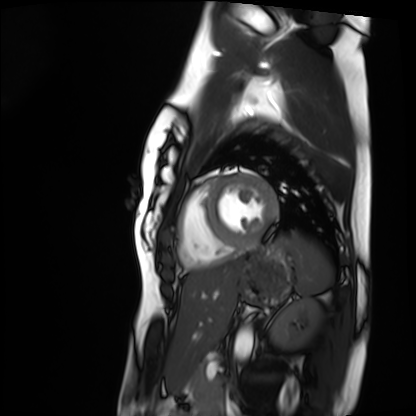
Summary:
Cardiac MRI. Subject group: healthy volunteer.